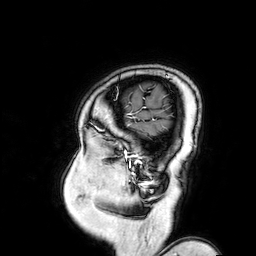
3 Tesla brain MRI.
Series: 3D T1-weighted turbo field echo with SENSE.
Study: ring-enhancing brain masses.